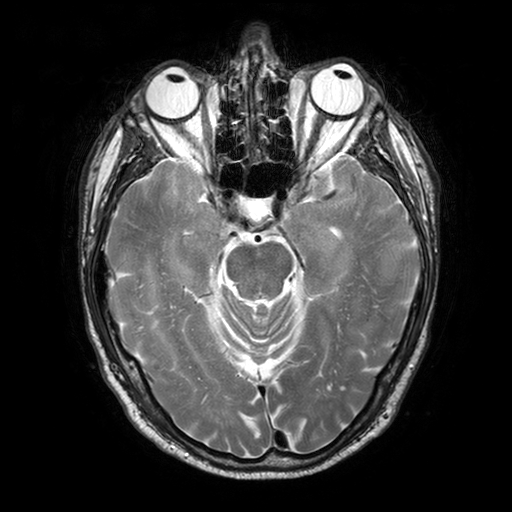
3 Tesla brain MRI. Series: T2-weighted turbo spin echo with SENSE. Study: ring-enhancing brain masses.